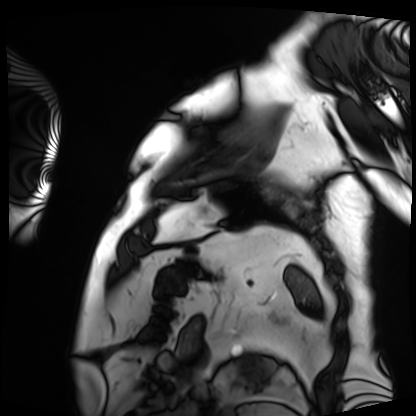
Cardiac MRI. Subject group: patient.